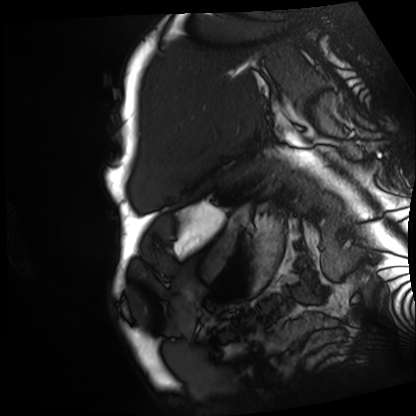
{"modality": "cardiac MRI", "cohort": "patient"}